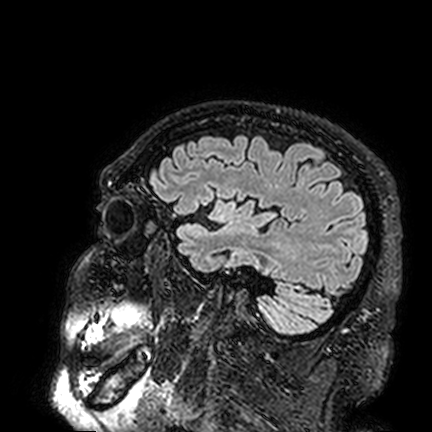
modality = 3 Tesla brain MRI
series = FLAIR VISTA
study = ring-enhancing brain masses